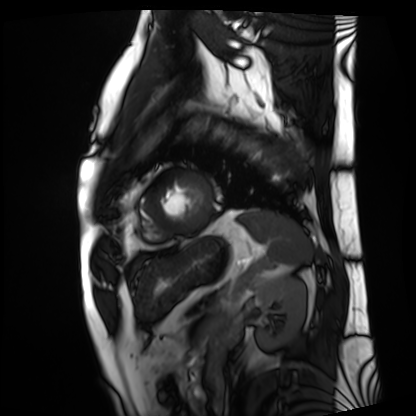
Clinical context: Cardiac MRI. Subject group: patient.